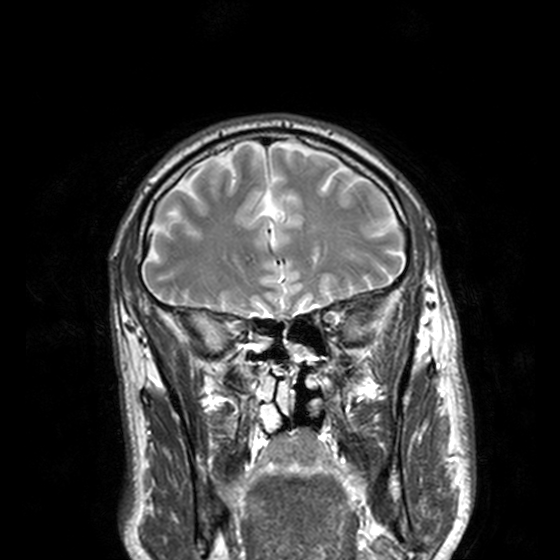
<case>
  <modality>
    <type>brain MRI</type>
    <field_strength>3T</field_strength>
  </modality>
  <series>T2-weighted turbo spin echo, 3 mm</series>
  <study_topic>ring-enhancing brain masses</study_topic>
</case>